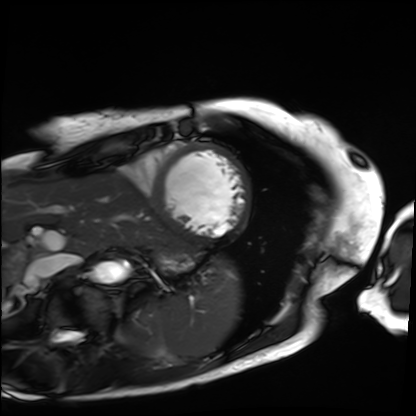
modality: cardiac MRI; subject group: patient.